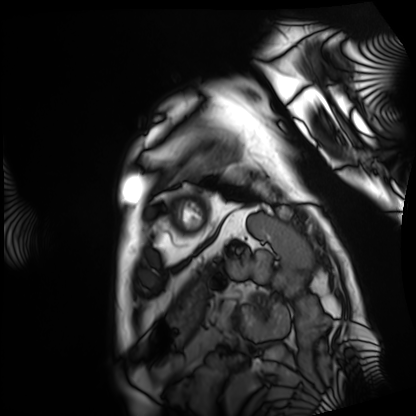
Summary: Cardiac MRI. Subject group: patient.